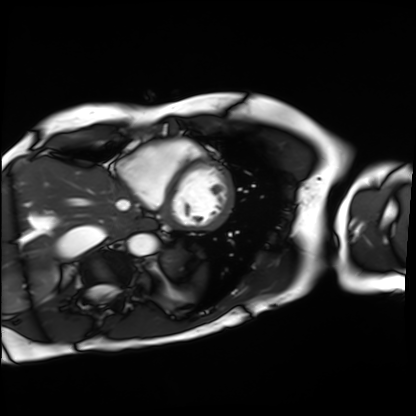
{
  "modality": "cardiac MRI",
  "cohort": "patient"
}